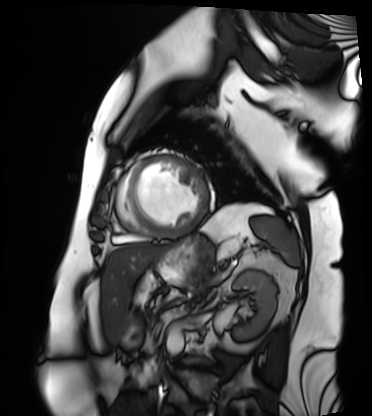
Case summary:
Cardiac MRI. Subject group: patient.